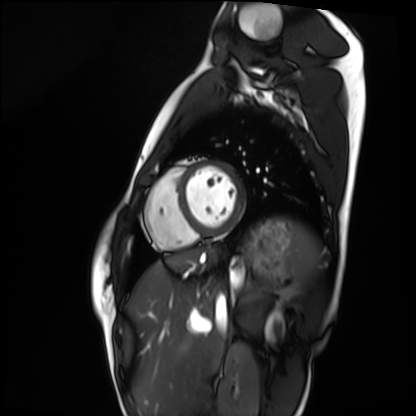
Q: What kind of scan is this?
A: Cardiac MRI.
Subject group: healthy volunteer.